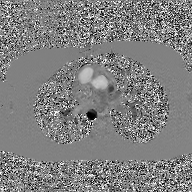
modality: 2D phase-contrast cine MRI of the ascending aorta, GAN super-resolution reconstruction.